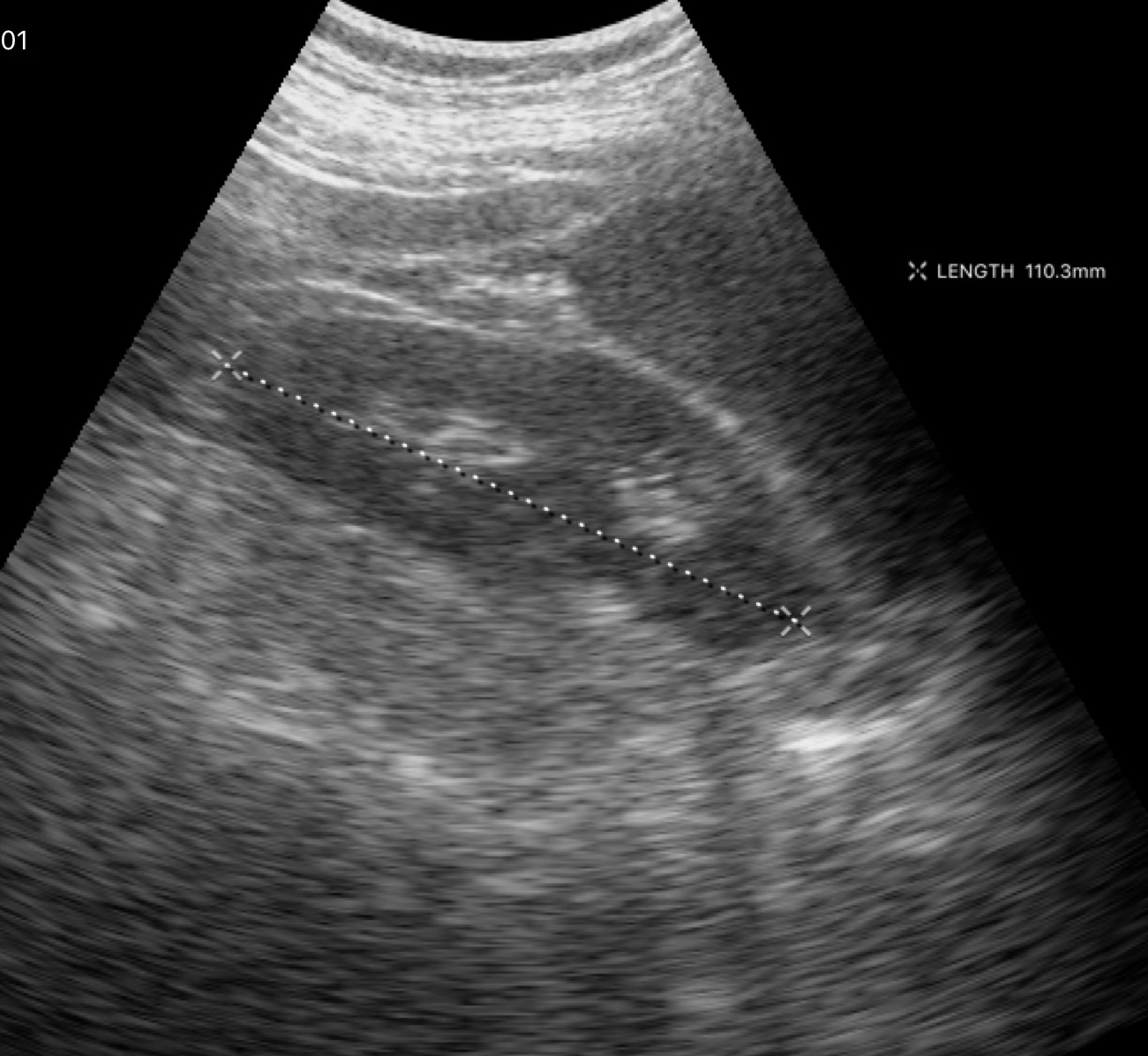
Genitourinary ultrasound.